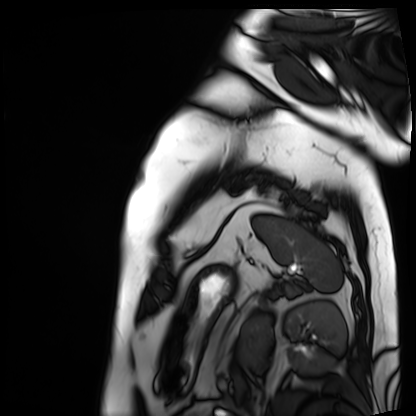
modality: cardiac MRI | subject group: patient.